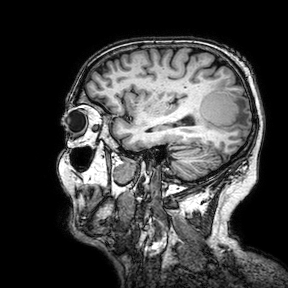
<scan>
<modality>
  <type>brain MRI</type>
  <field_strength>3T</field_strength>
</modality>
<series>3D T1-weighted turbo field echo with SENSE</series>
<study_topic>ring-enhancing brain masses</study_topic>
</scan>